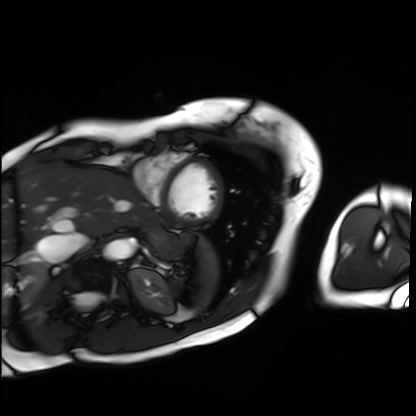
Summary:
Cardiac MRI. Subject group: patient.